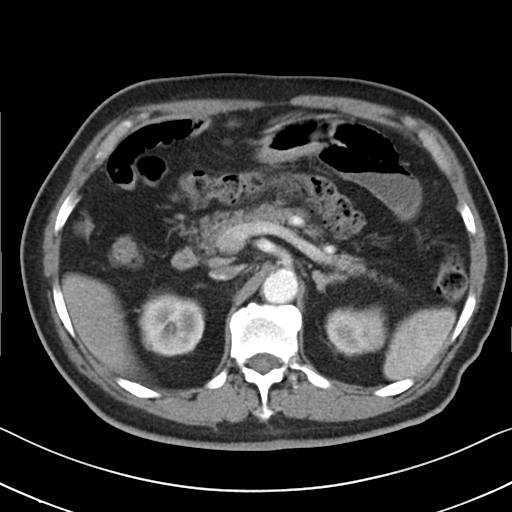
Multiphase abdominal CT, liver, arterial phase. Patient: male, age 79.